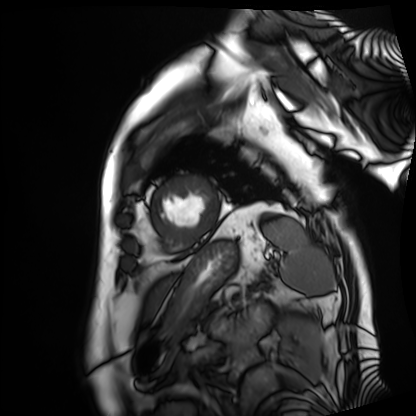
Cardiac MRI.
Subject group: patient.